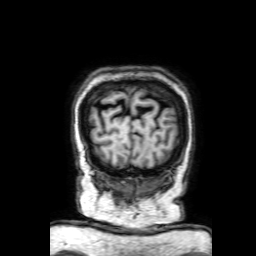
3 Tesla brain MRI. Series: 3D T1-weighted with SENSE. Study: ring-enhancing brain masses.